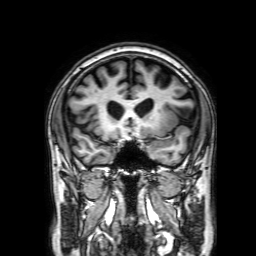
<study>
  <modality>
    <type>brain MRI</type>
    <field_strength>3T</field_strength>
  </modality>
  <series>3D T1-weighted with SENSE</series>
  <study_topic>ring-enhancing brain masses</study_topic>
</study>